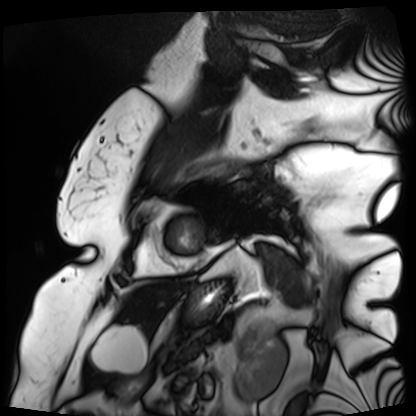
modality: cardiac MRI
cohort: patient